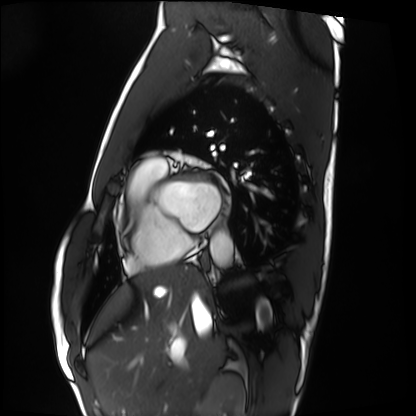
Case summary:
Cardiac MRI. Subject group: healthy volunteer.